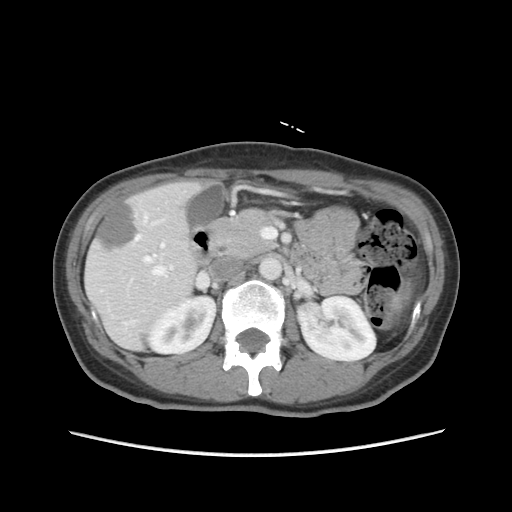
<scan>
<modality>
  <type>multiphase abdominal CT</type>
  <region>liver</region>
  <phase>portal venous</phase>
</modality>
<patient>
  <sex>female</sex>
  <age>47</age>
</patient>
</scan>